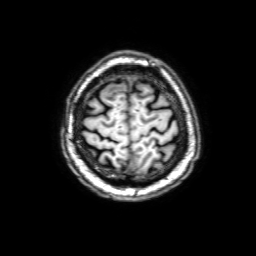
{"modality": {"type": "brain MRI", "field_strength": "3T"}, "series": "3D T1-weighted with SENSE", "study_topic": "ring-enhancing brain masses"}